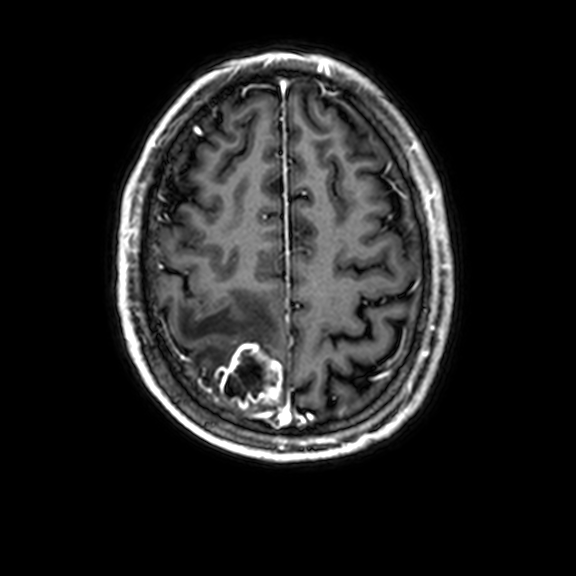
Summary:
3 Tesla brain MRI. Series: 3D T1-weighted with CLEAR. Study: ring-enhancing brain masses.